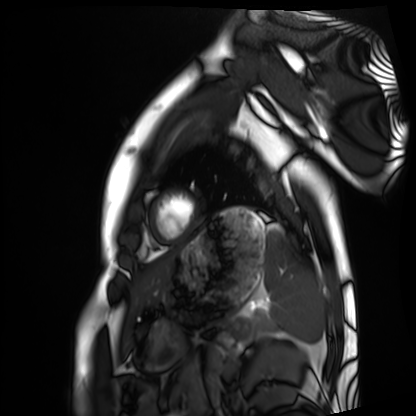
{"modality": "cardiac MRI", "cohort": "healthy volunteer"}